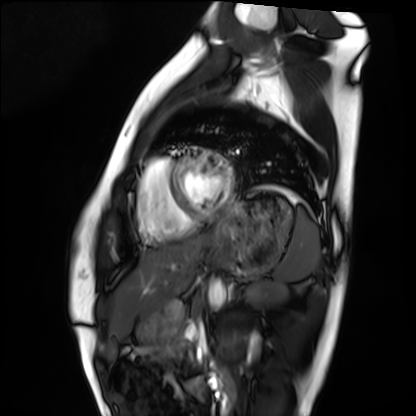
Cardiac MRI.
Subject group: healthy volunteer.